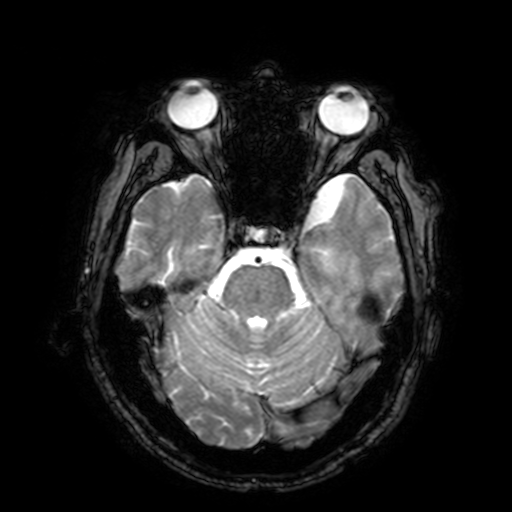
3 Tesla brain MRI.
Series: T2-weighted fast field echo with SENSE.
Study: ring-enhancing brain masses.